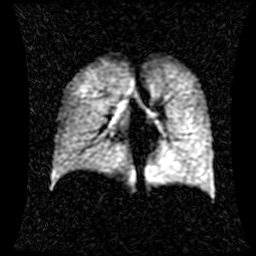
Case:
* modality: hyperpolarized 129Xe ventilation MRI of the lungs
* SNR level: 1 of 8 (the deposit holds this scan as its native image and as seven SNR-degraded versions)